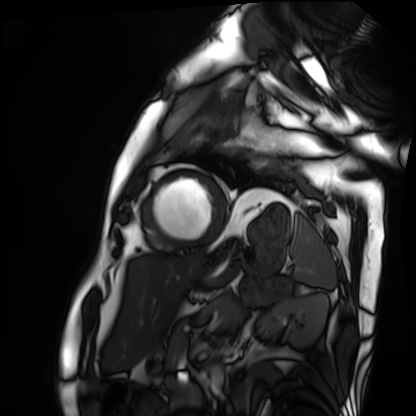
Summary: Cardiac MRI. Subject group: patient.